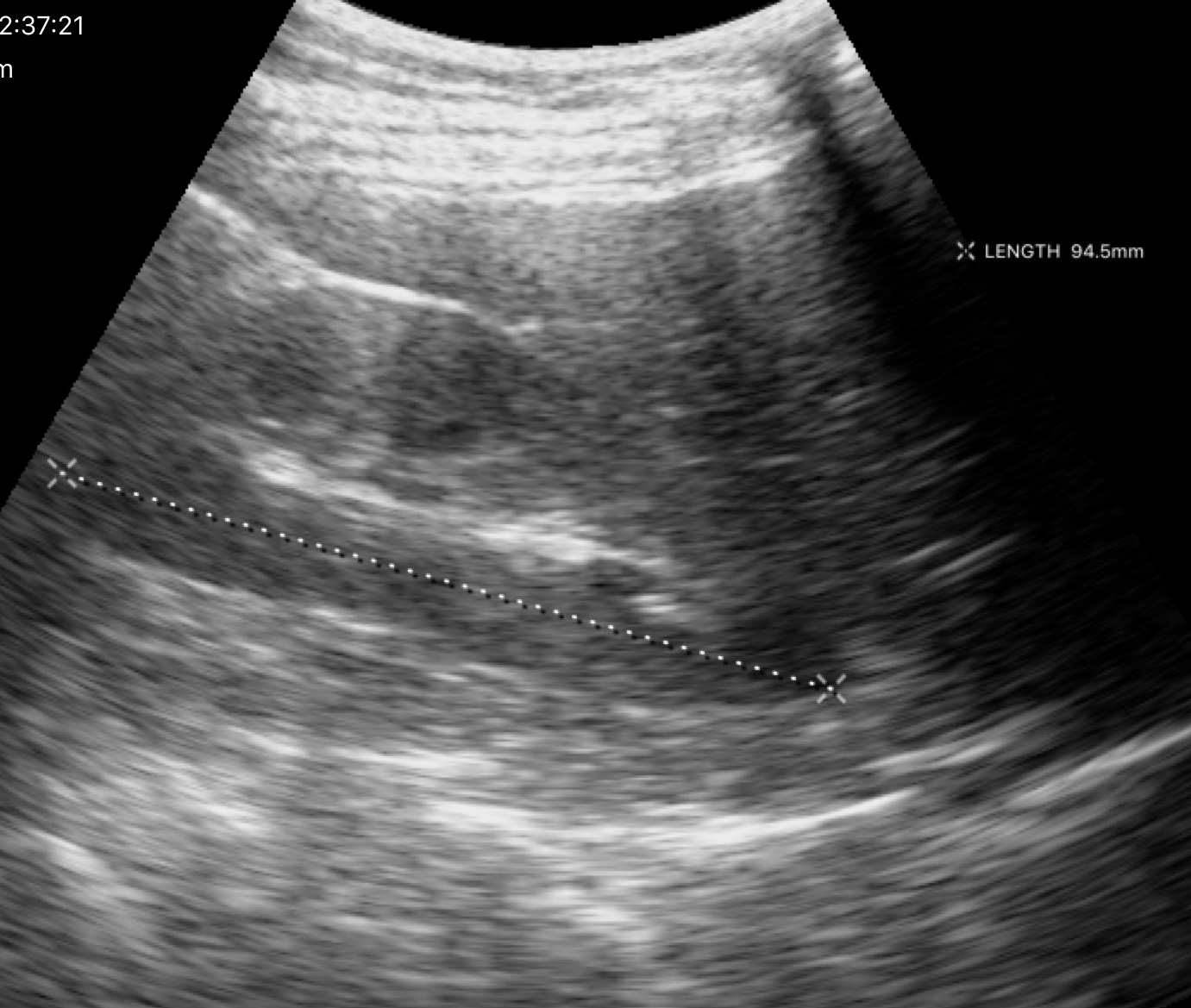
Summary: Genitourinary ultrasound.